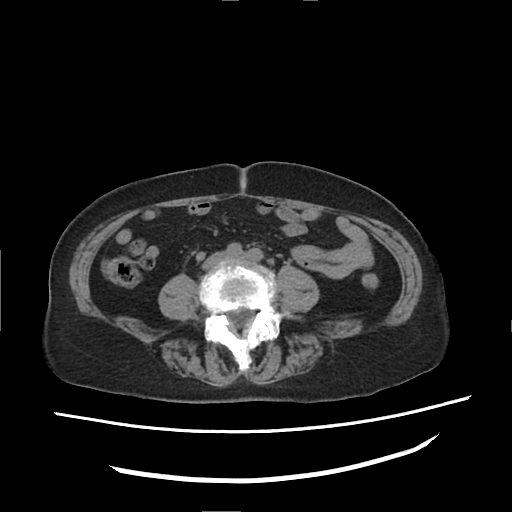
Summary:
Multiphase abdominal CT, liver, non-contrast phase.